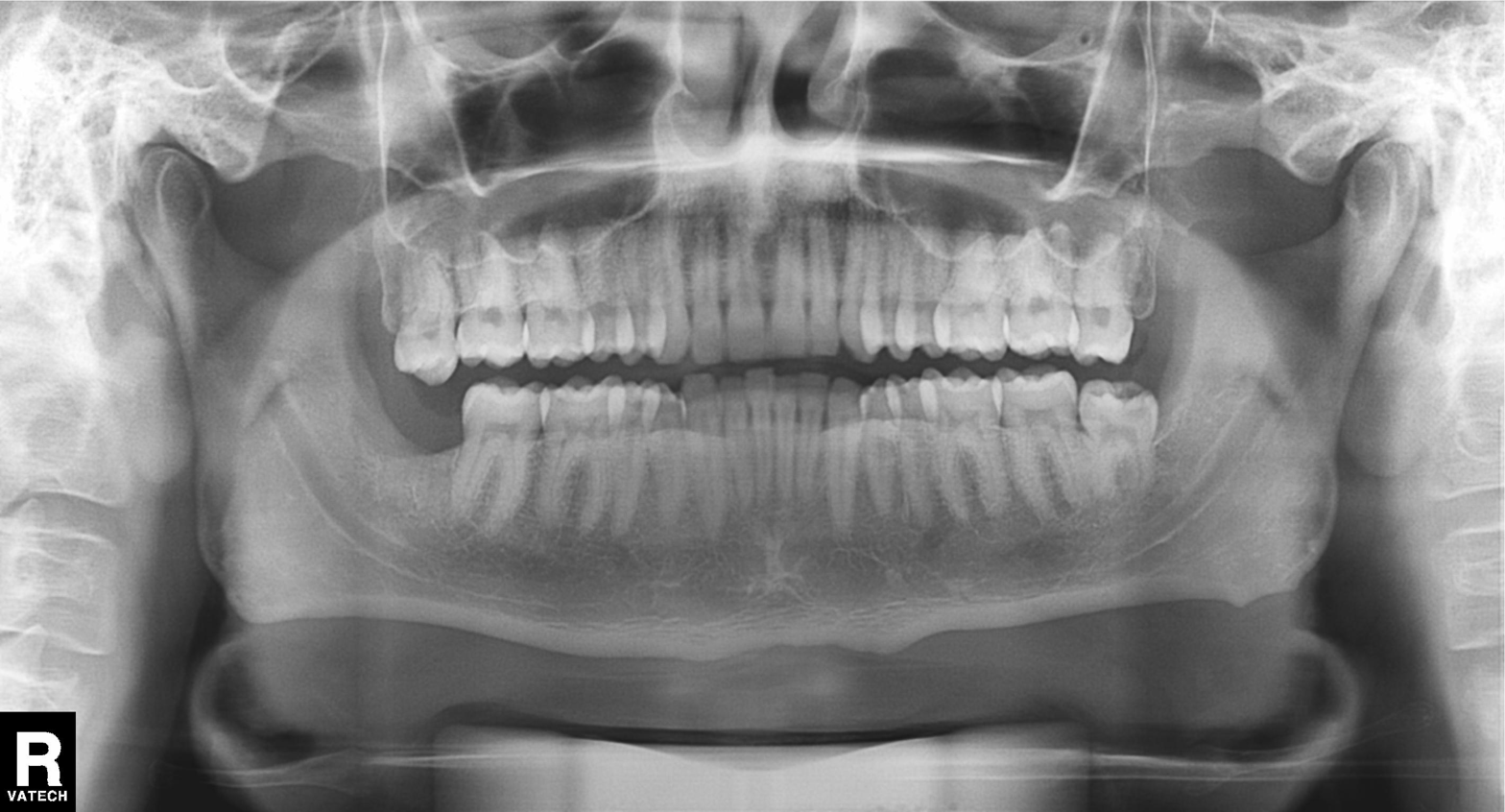
Case:
- modality · panoramic dental radiograph (orthopantomogram)
- finding · tooth impaction